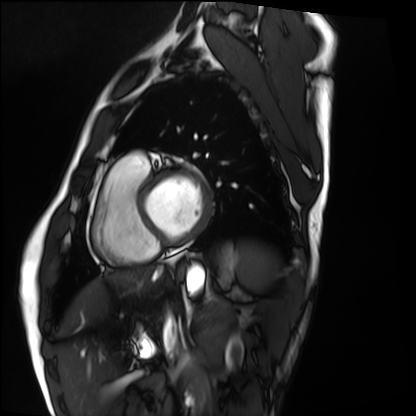
<record>
  <modality>cardiac MRI</modality>
  <cohort>healthy volunteer</cohort>
</record>